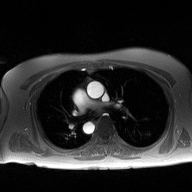
| field | value |
|---|---|
| modality | 2D phase-contrast cine MRI of the ascending aorta |